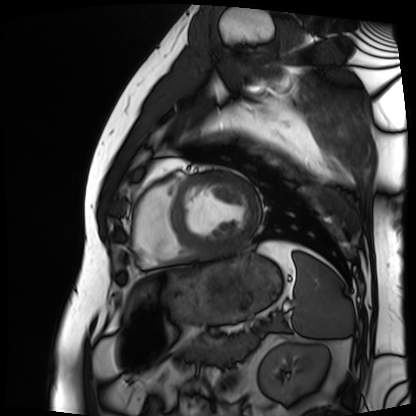
| field | value |
|---|---|
| modality | cardiac MRI |
| subject group | patient |